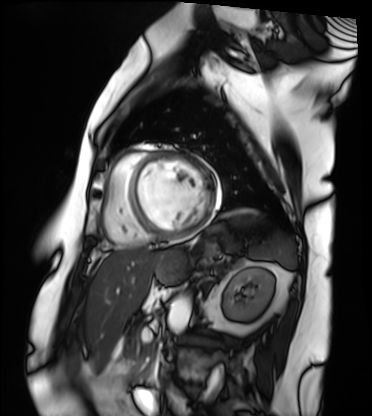
Q: What kind of scan is this?
A: Cardiac MRI.
Subject group: patient.